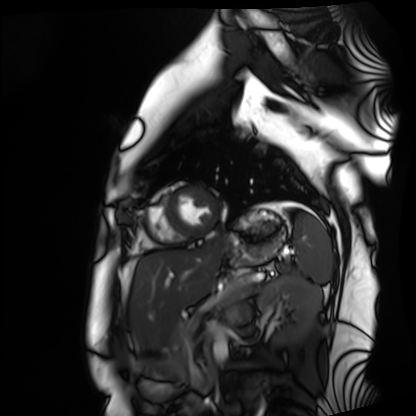
{
  "modality": "cardiac MRI",
  "cohort": "healthy volunteer"
}